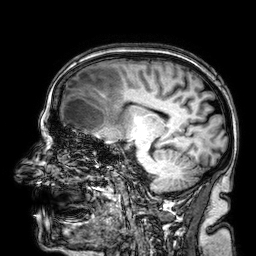
modality: 3 Tesla brain MRI | series: 3D T1-weighted | study: ring-enhancing brain masses.